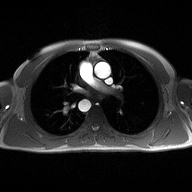
{"modality": {"type": "2D phase-contrast cine MRI", "region": "ascending aorta", "reconstruction": "high-resolution GRAPPA acquisition"}}